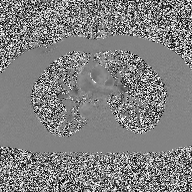
2D phase-contrast cine MRI of the ascending aorta, high-resolution GRAPPA acquisition.